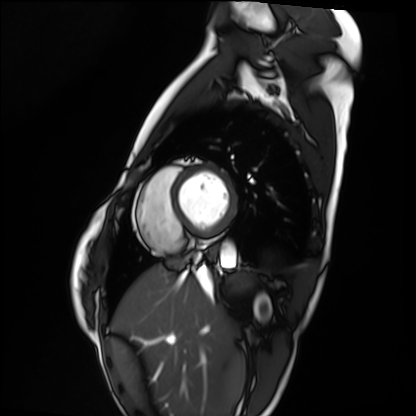
Cardiac MRI. Subject group: healthy volunteer.